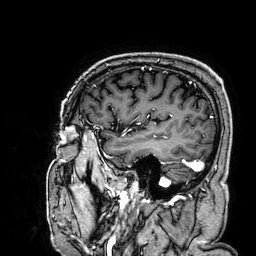
Case:
• modality: 3 Tesla brain MRI
• series: 3D T1-weighted
• study: ring-enhancing brain masses